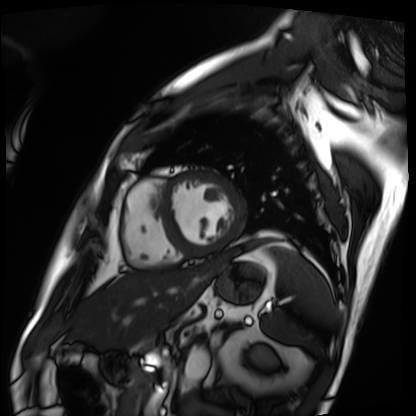
Cardiac MRI.
Subject group: patient.